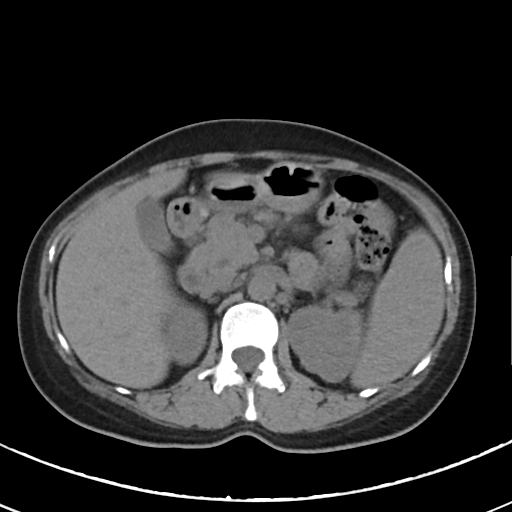
Multiphase abdominal CT, liver, non-contrast phase. Patient: female, age 46.